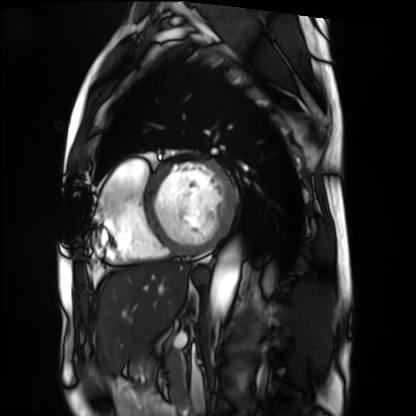
Q: What kind of scan is this?
A: Cardiac MRI.
Subject group: patient.